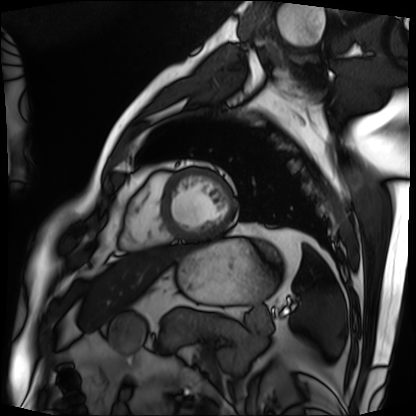
Cardiac MRI.
Subject group: patient.